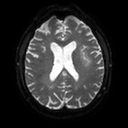
Summary: 3 Tesla brain MRI. Series: diffusion tensor imaging (medium iso). Study: ring-enhancing brain masses.